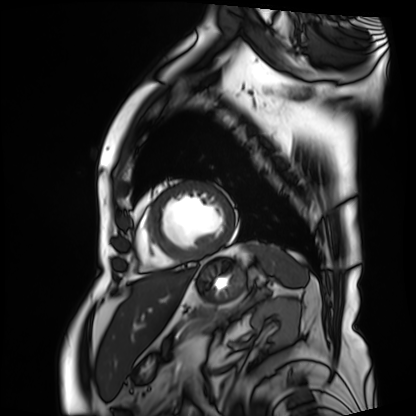
Cardiac MRI. Subject group: patient.